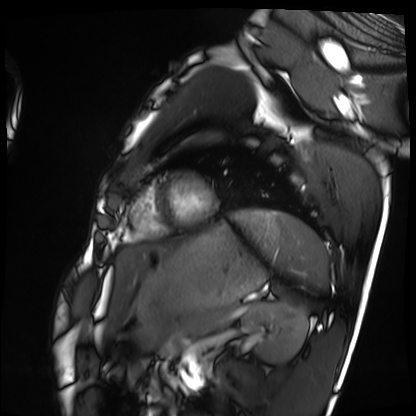
  modality: cardiac MRI
  cohort: healthy volunteer